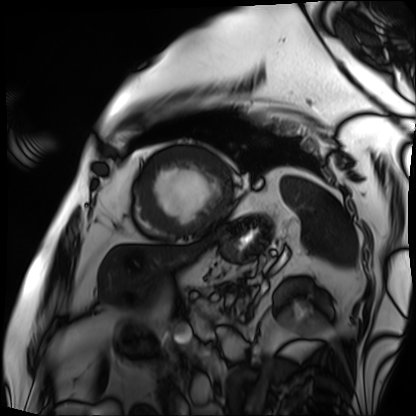
Summary: Cardiac MRI. Subject group: patient.